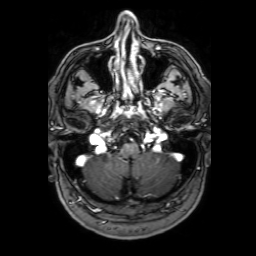
modality = 3 Tesla brain MRI
series = 3D T1-weighted with SENSE
study = ring-enhancing brain masses